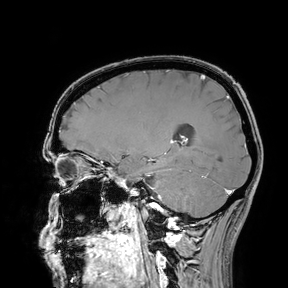
Case:
• modality: 3 Tesla brain MRI
• study: ring-enhancing brain masses